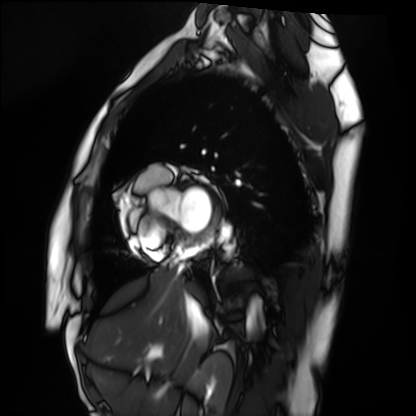
modality: cardiac MRI
subject group: healthy volunteer